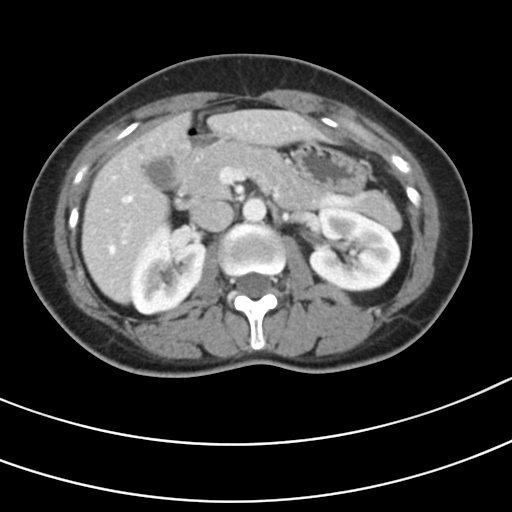
modality = multiphase abdominal CT, liver, portal venous phase